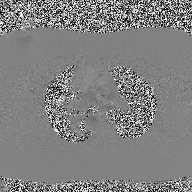
2D phase-contrast cine MRI of the ascending aorta, high-resolution GRAPPA acquisition.